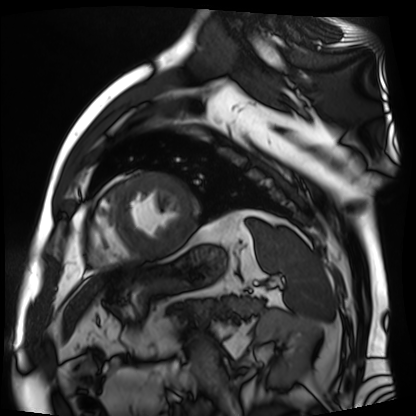
| field | value |
|---|---|
| modality | cardiac MR image of the myocardium |
| subject cohort | cardiac patient |